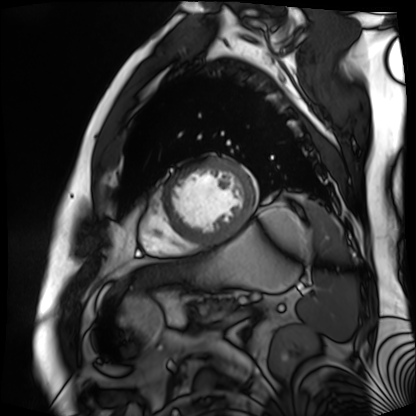
Cardiac MR image of the myocardium.
Subject cohort: cardiac patient.